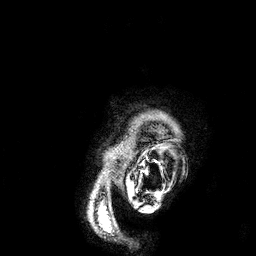
modality: 3 Tesla brain MRI; series: 3D T1-weighted; study: ring-enhancing brain masses.